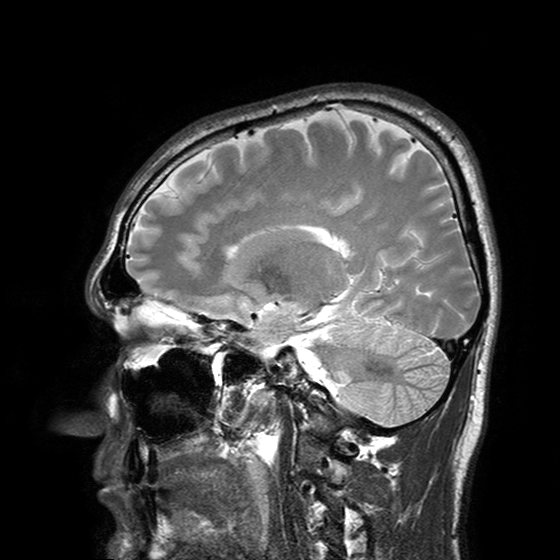
3 Tesla brain MRI. Series: T2-weighted turbo spin echo with SENSE. Study: ring-enhancing brain masses.